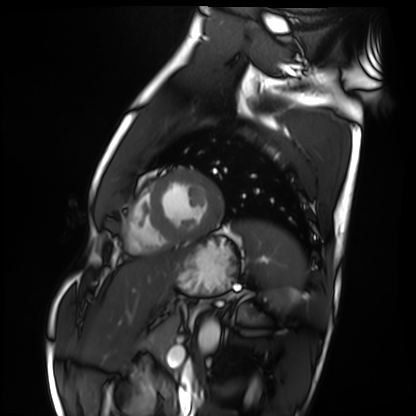
Cardiac MRI. Subject group: healthy volunteer.